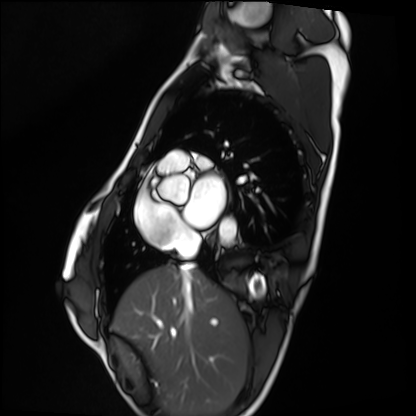
- modality — cardiac MRI
- subject group — healthy volunteer